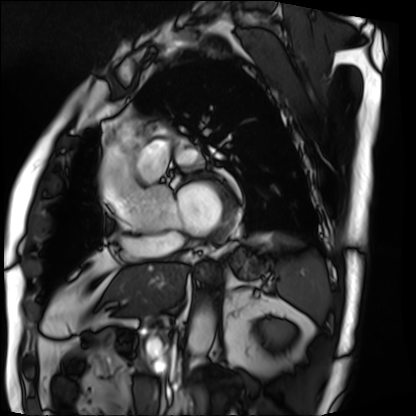
Cardiac MRI. Subject group: patient.